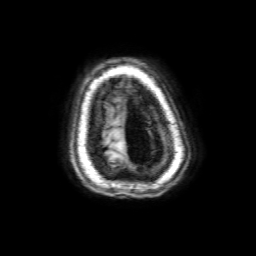
Q: What kind of scan is this?
A: 3 Tesla brain MRI.
Q: Series?
A: 3D T1-weighted with SENSE.
Study: ring-enhancing brain masses.